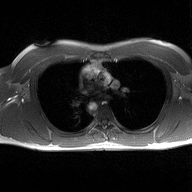
2D phase-contrast cine MRI of the ascending aorta, high-resolution GRAPPA acquisition.